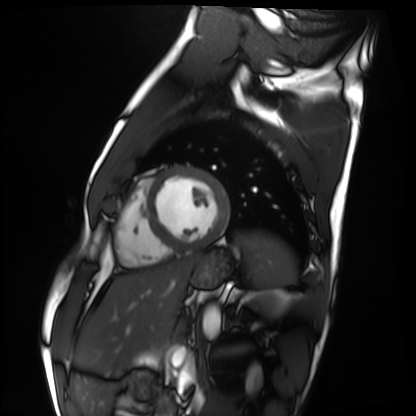
Cardiac MRI. Subject group: healthy volunteer.